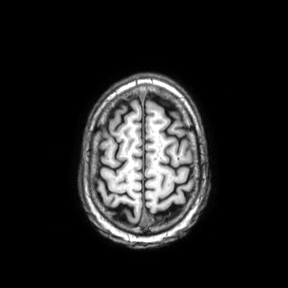
modality: 3 Tesla brain MRI | series: axial | study: ring-enhancing brain masses.